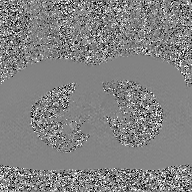
<scan>
  <modality>
    <type>2D phase-contrast cine MRI</type>
    <region>ascending aorta</region>
    <reconstruction>GAN super-resolution reconstruction</reconstruction>
  </modality>
</scan>